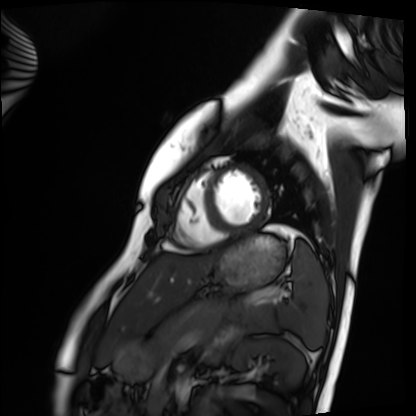
Cardiac MRI. Subject group: healthy volunteer.